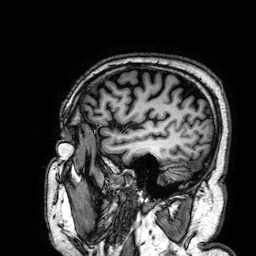
Summary:
3 Tesla brain MRI. Series: 3D T1-weighted. Study: ring-enhancing brain masses.